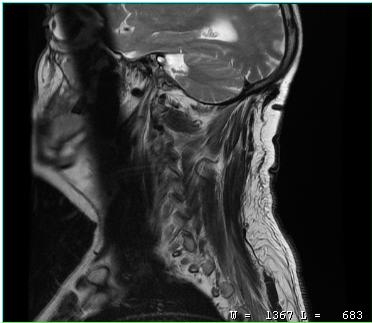
Case summary:
MRI of the cervical spine. Study: cervical spondylosis.